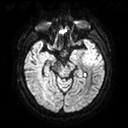
3 Tesla brain MRI. Series: diffusion tensor imaging (medium iso). Study: ring-enhancing brain masses.